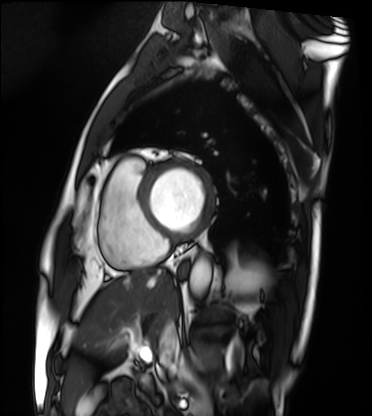
Cardiac MRI.
Subject group: patient.